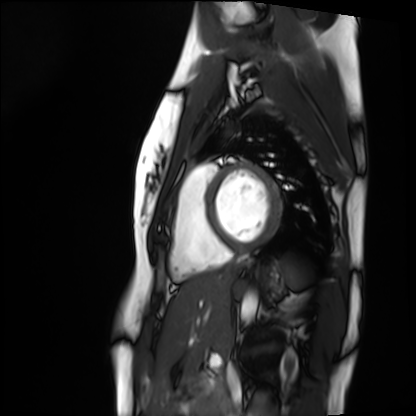
modality = cardiac MRI; subject group = healthy volunteer.